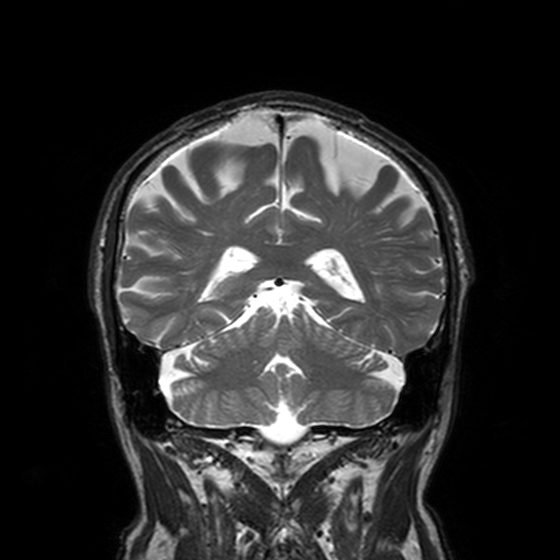
- modality — 3 Tesla brain MRI
- series — T2-weighted turbo spin echo, 3 mm
- study — ring-enhancing brain masses